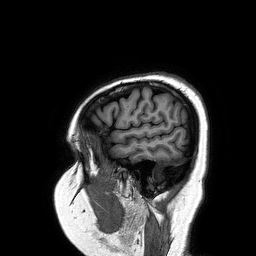
3 Tesla brain MRI. Series: 3D T1-weighted turbo field echo. Study: ring-enhancing brain masses.